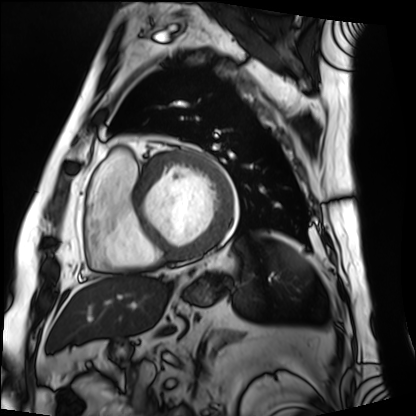
{
  "modality": "cardiac MRI",
  "cohort": "patient"
}